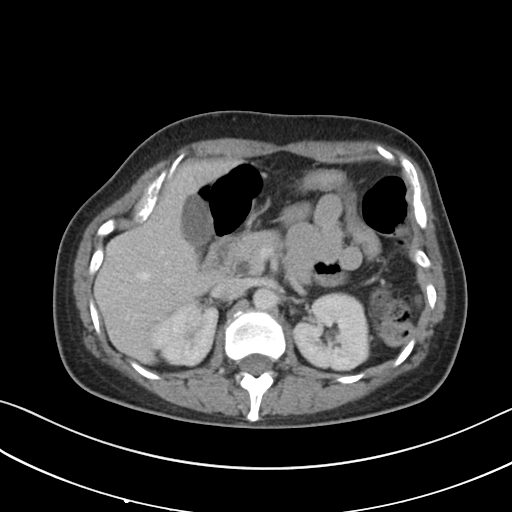
{
  "modality": {
    "type": "multiphase abdominal CT",
    "region": "liver",
    "phase": "portal venous"
  },
  "patient": {
    "sex": "female",
    "age": 47
  },
  "history": [
    "prior chemotherapy"
  ]
}